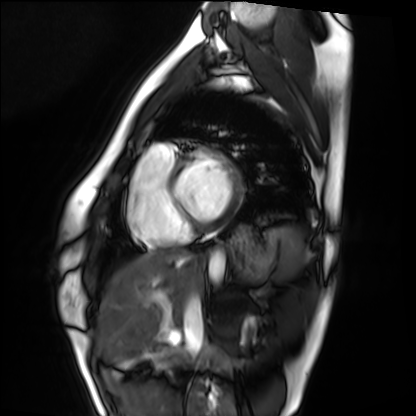
Cardiac MRI.
Subject group: healthy volunteer.